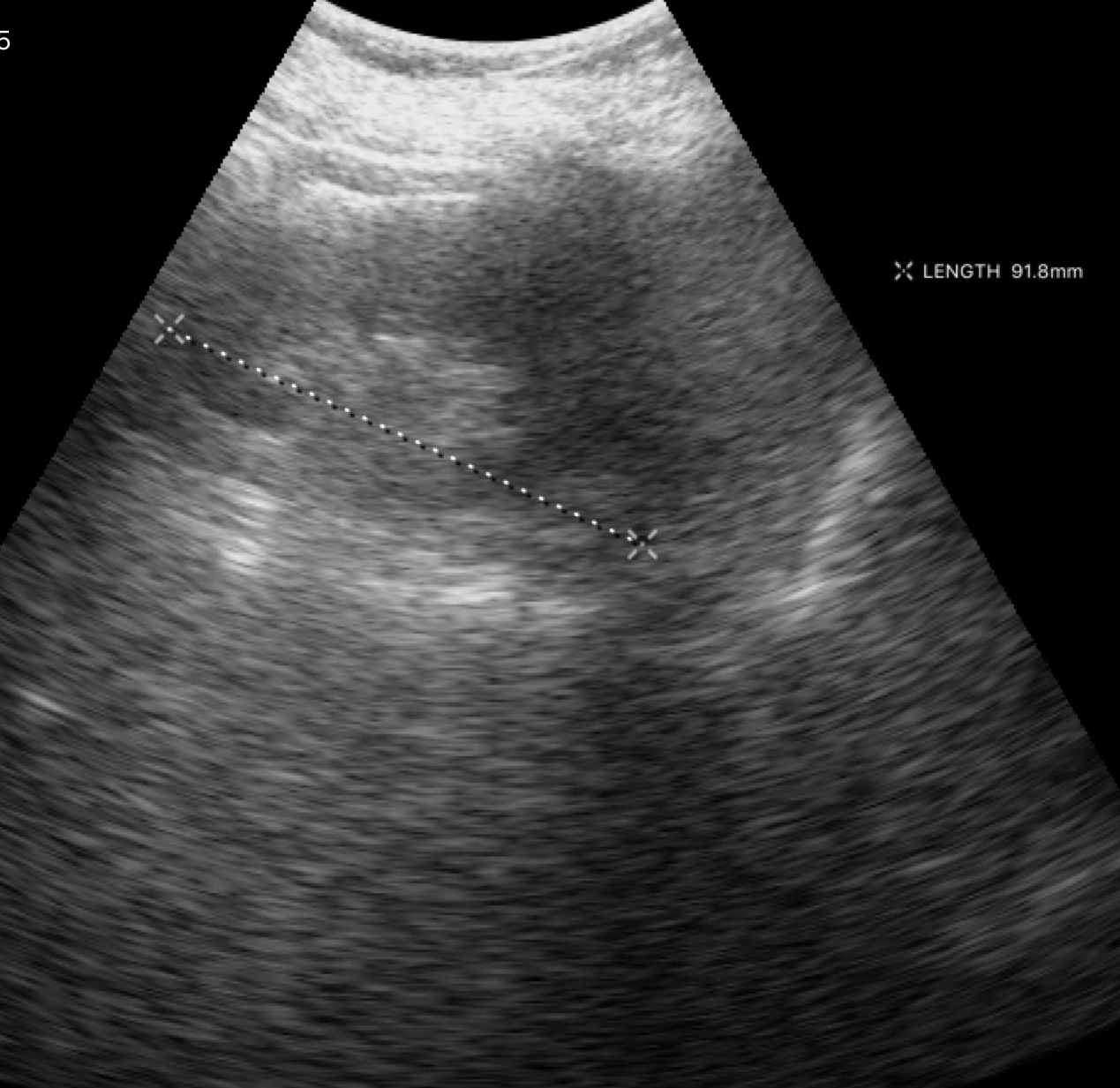
Summary: Genitourinary ultrasound.